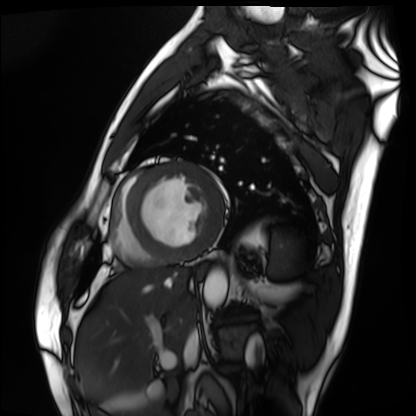
Cardiac MRI.
Subject group: patient.